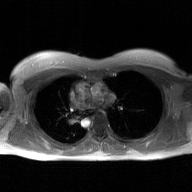
Q: What kind of scan is this?
A: 2D phase-contrast cine MRI of the ascending aorta, GAN super-resolution reconstruction.